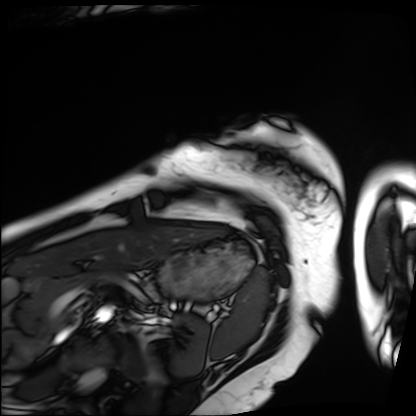
Cardiac MRI. Subject group: patient.